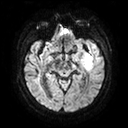
  modality:
    type: brain MRI
    field_strength: 3T
  series: diffusion tensor imaging (medium iso)
  study_topic: ring-enhancing brain masses